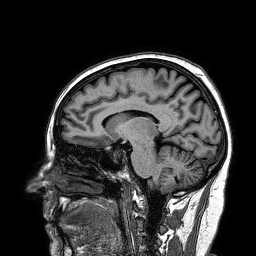
modality: 3 Tesla brain MRI
series: 3D T1-weighted turbo field echo
study: ring-enhancing brain masses